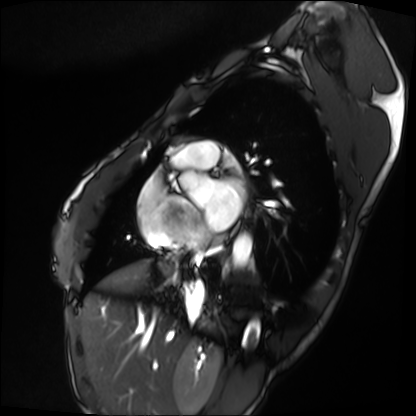
- modality: cardiac MRI
- subject group: patient